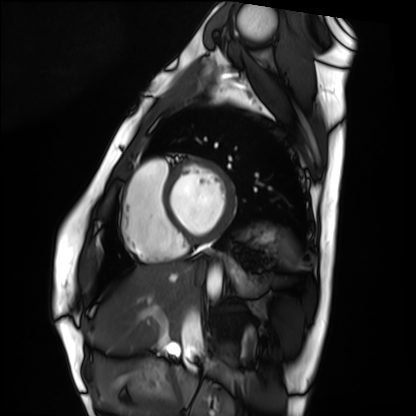
Cardiac MRI.
Subject group: healthy volunteer.